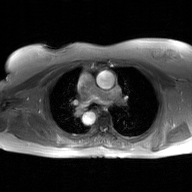
2D phase-contrast cine MRI of the ascending aorta, GAN super-resolution reconstruction.